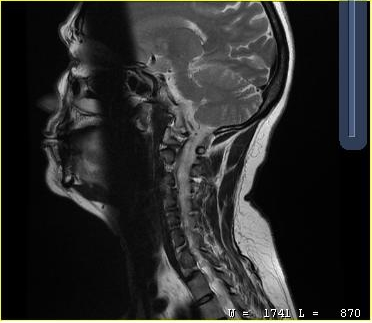
MRI of the cervical spine. Study: cervical spondylosis.